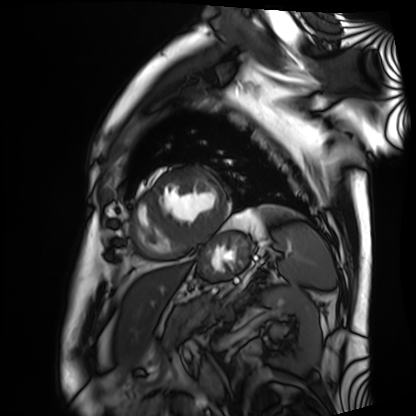
modality — cardiac MRI; subject group — patient.